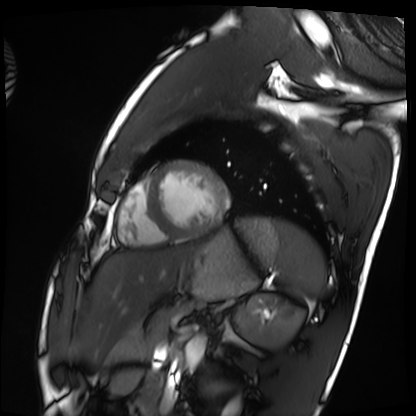
{"modality": "cardiac MRI", "cohort": "healthy volunteer"}